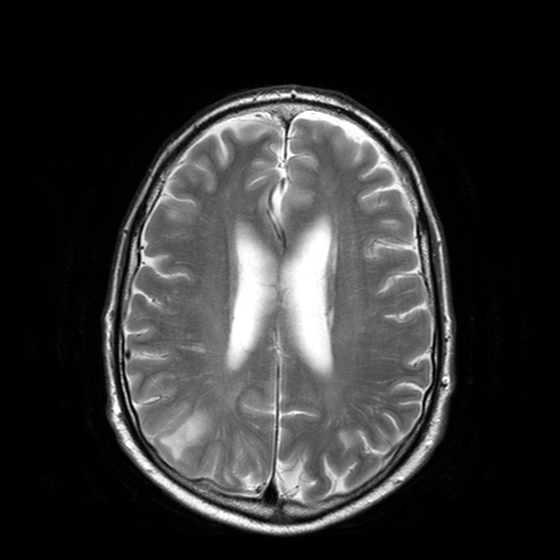
3 Tesla brain MRI. Series: T2-weighted turbo spin echo with CLEAR. Study: ring-enhancing brain masses.